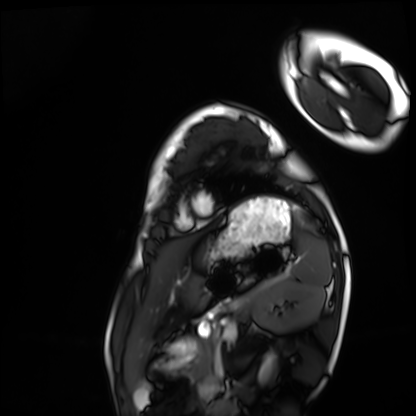
Cardiac MRI. Subject group: healthy volunteer.